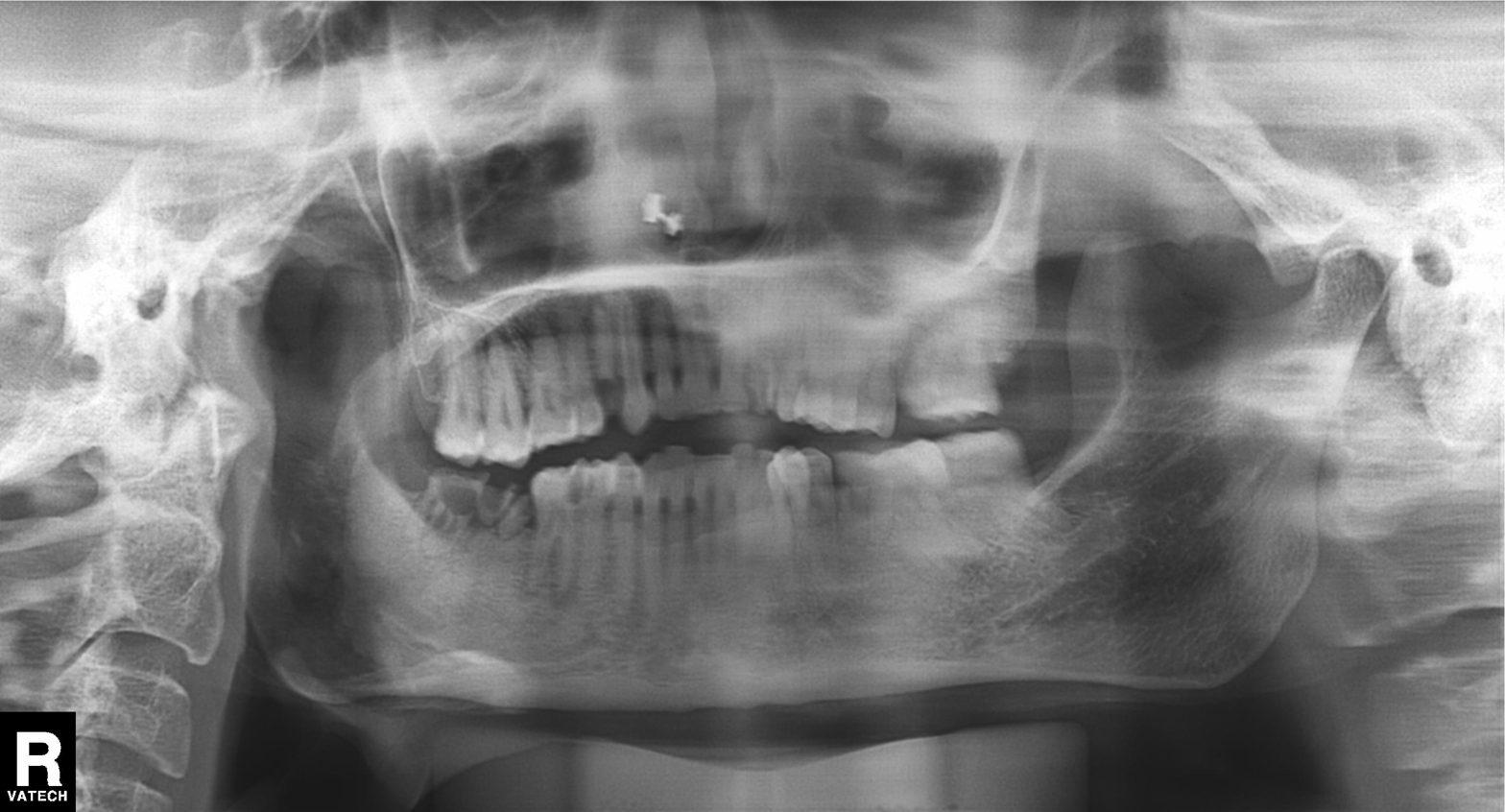
Panoramic dental radiograph (orthopantomogram). Finding: tooth impaction.